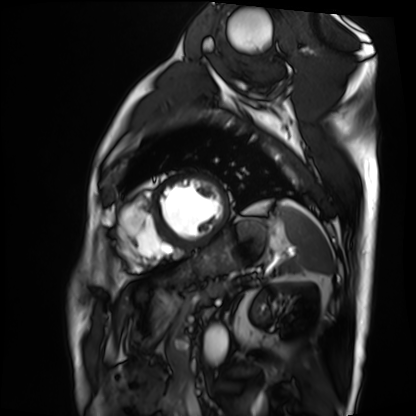
Cardiac MRI. Subject group: patient.